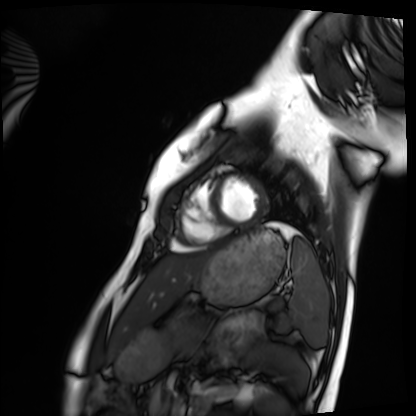
{"modality": "cardiac MRI", "cohort": "healthy volunteer"}